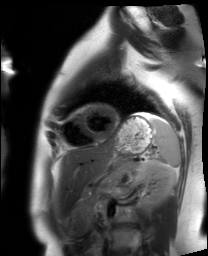
Summary:
Cardiac MRI. Subject group: healthy volunteer.